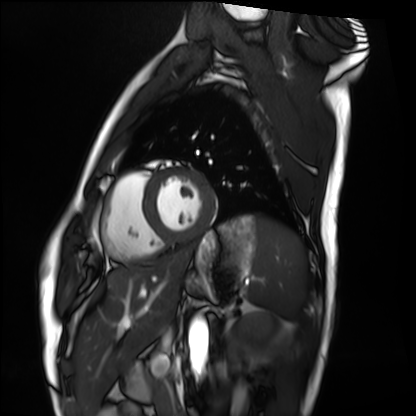
Case summary:
Cardiac MRI. Subject group: healthy volunteer.